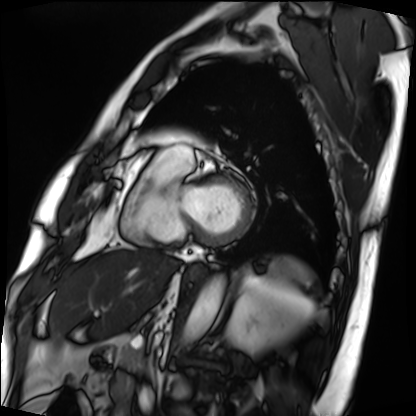
Cardiac MRI.
Subject group: patient.